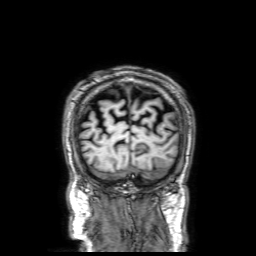
{"modality": {"type": "brain MRI", "field_strength": "3T"}, "series": "3D T1-weighted with SENSE", "study_topic": "ring-enhancing brain masses"}